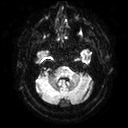
Summary: 3 Tesla brain MRI. Series: diffusion tensor imaging (medium iso). Study: ring-enhancing brain masses.